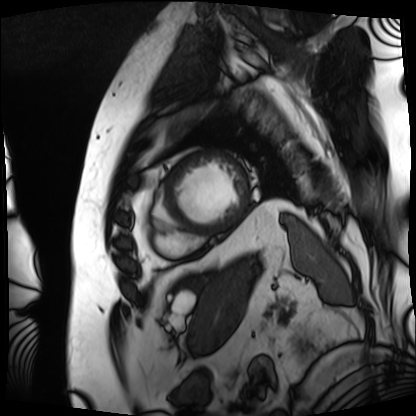
Q: What kind of scan is this?
A: Cardiac MRI.
Subject group: patient.